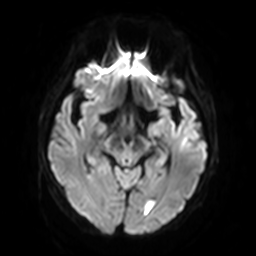
modality:
  type: brain MRI
  field_strength: 3T
series: diffusion-weighted imaging with SENSE (WIP)
study_topic: ring-enhancing brain masses